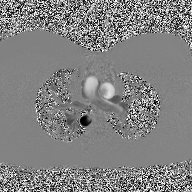
Case summary: 2D phase-contrast cine MRI of the ascending aorta, high-resolution GRAPPA acquisition.